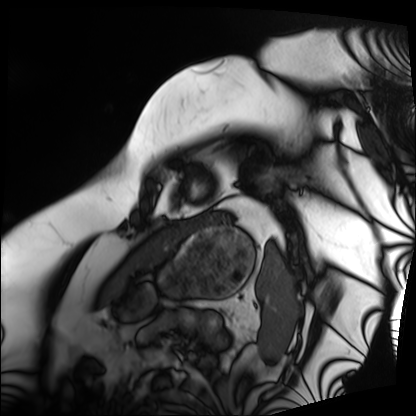
Q: What kind of scan is this?
A: Cardiac MRI.
Subject group: patient.